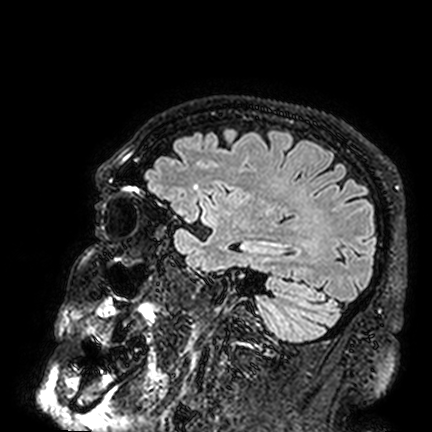
modality: 3 Tesla brain MRI | series: FLAIR VISTA | study: ring-enhancing brain masses.